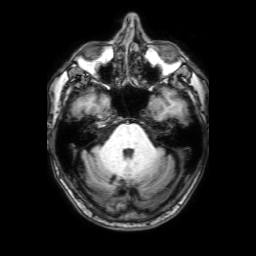
3 Tesla brain MRI.
Series: 3D T1-weighted with SENSE.
Study: ring-enhancing brain masses.